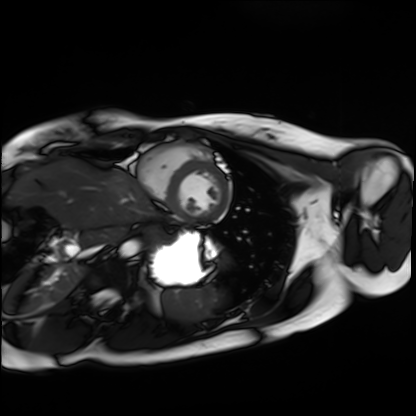
Cardiac MRI. Subject group: healthy volunteer.